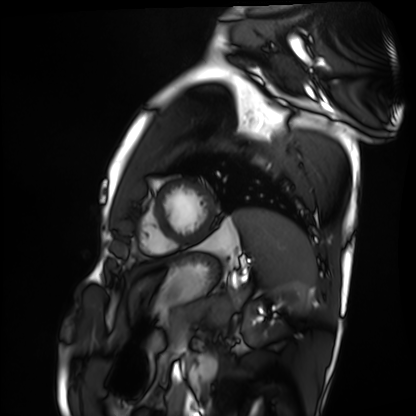
modality = cardiac MRI; subject group = healthy volunteer.